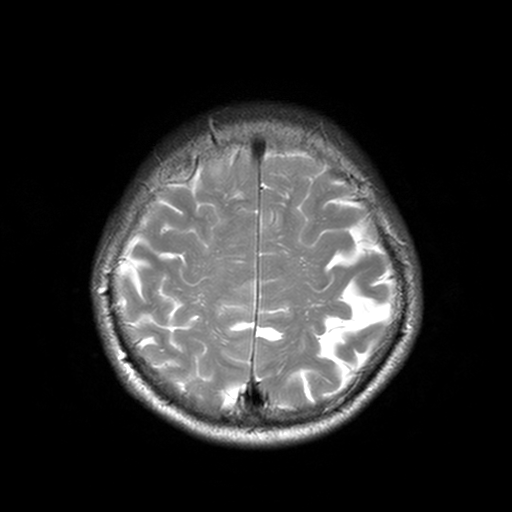
3 Tesla brain MRI.
Series: T2-weighted turbo spin echo, 3 mm.
Study: ring-enhancing brain masses.